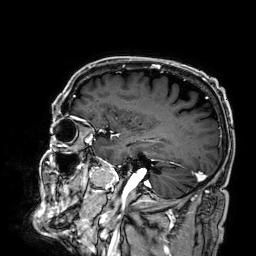
3 Tesla brain MRI. Series: 3D T1-weighted. Study: ring-enhancing brain masses.